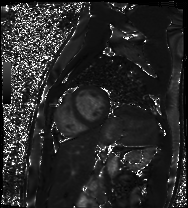
Cardiac MRI.
Subject group: patient.